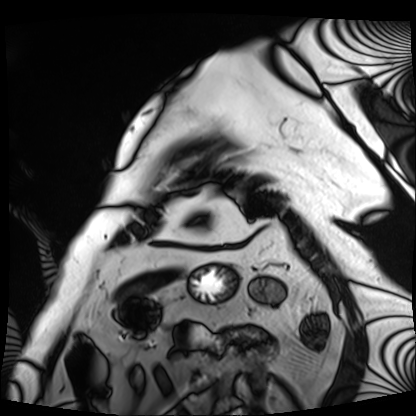
Cardiac MRI. Subject group: patient.